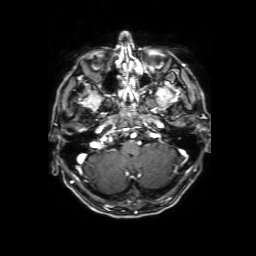
modality: 3 Tesla brain MRI
series: 3D T1-weighted with SENSE
study: ring-enhancing brain masses